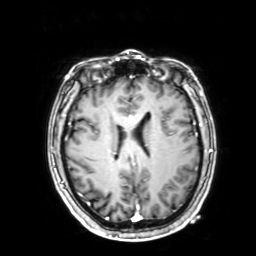
3 Tesla brain MRI.
Series: 3D T1-weighted with SENSE.
Study: ring-enhancing brain masses.